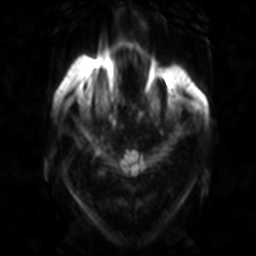
3 Tesla brain MRI. Series: diffusion-weighted imaging. Study: ring-enhancing brain masses.